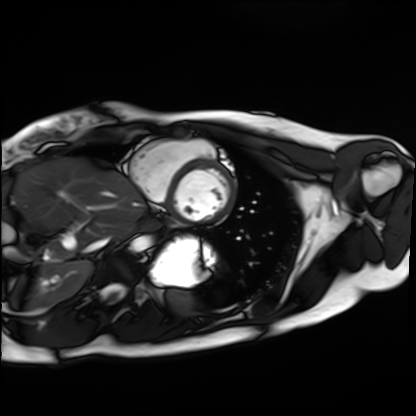
Summary: Cardiac MRI. Subject group: healthy volunteer.